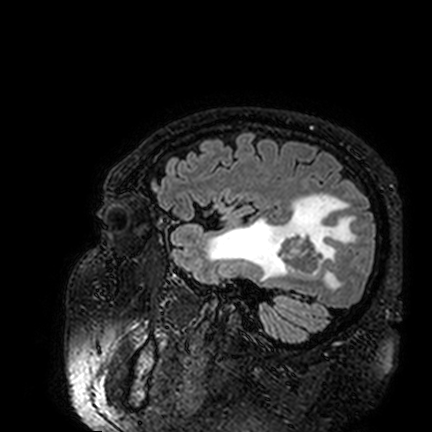
Summary:
3 Tesla brain MRI. Series: FLAIR VISTA. Study: ring-enhancing brain masses.